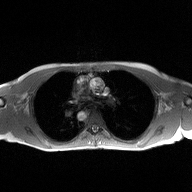
Summary:
2D phase-contrast cine MRI of the ascending aorta, high-resolution GRAPPA acquisition.